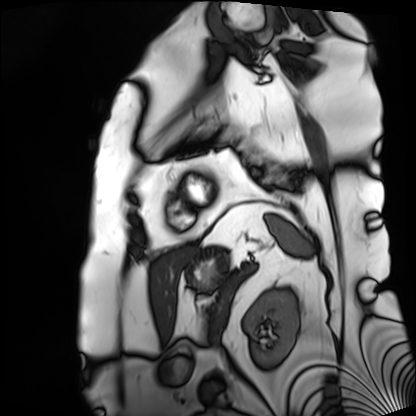
modality: cardiac MRI
subject group: patient